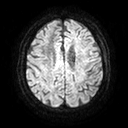
Clinical context: 3 Tesla brain MRI. Series: diffusion tensor imaging (medium iso). Study: ring-enhancing brain masses.